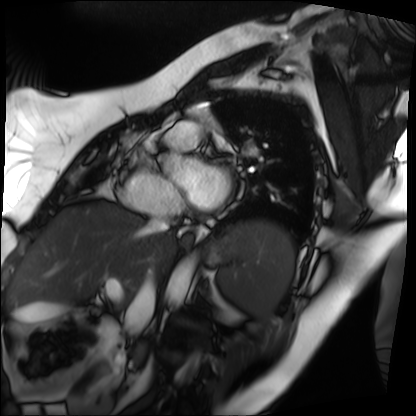
Clinical context: Cardiac MRI. Subject group: patient.